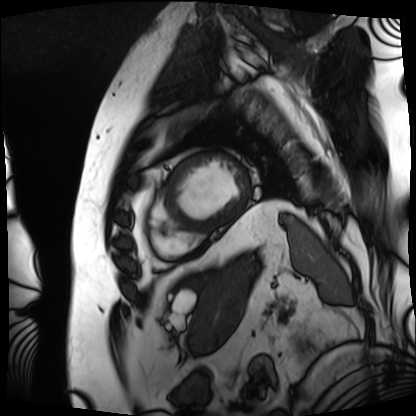
Summary:
Cardiac MRI. Subject group: patient.